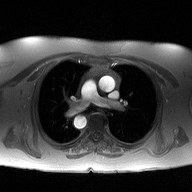
2D phase-contrast cine MRI of the ascending aorta, high-resolution GRAPPA acquisition.